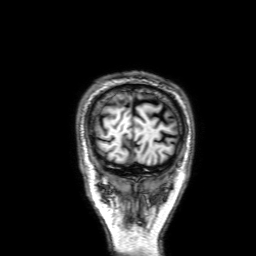
modality — 3 Tesla brain MRI; series — 3D T1-weighted with SENSE; study — ring-enhancing brain masses.